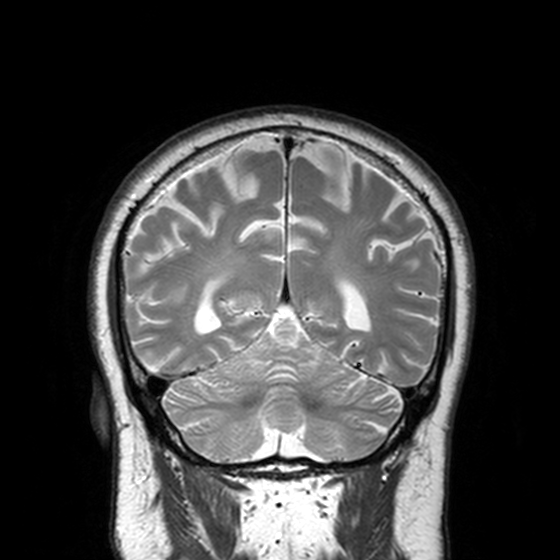
Case summary: 3 Tesla brain MRI. Series: T2-weighted turbo spin echo, 3 mm. Study: ring-enhancing brain masses.